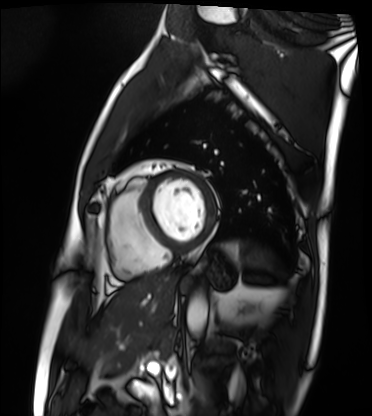
• modality · cardiac MRI
• subject group · patient